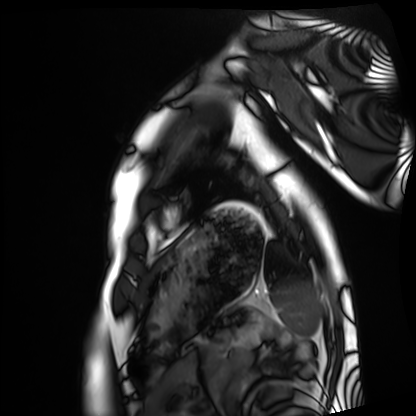
{"modality": "cardiac MRI", "cohort": "healthy volunteer"}